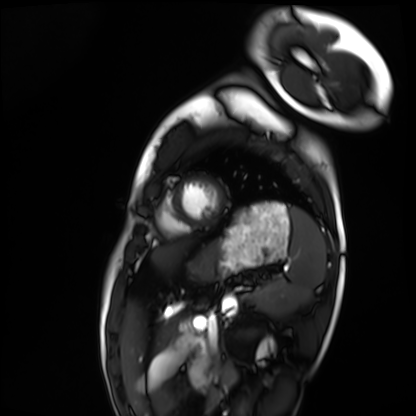
modality — cardiac MRI; subject group — healthy volunteer.